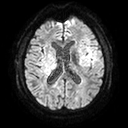
modality = 3 Tesla brain MRI | series = diffusion tensor imaging (medium iso) | study = ring-enhancing brain masses.